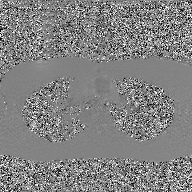
– modality: 2D phase-contrast cine MRI of the ascending aorta, GAN super-resolution reconstruction